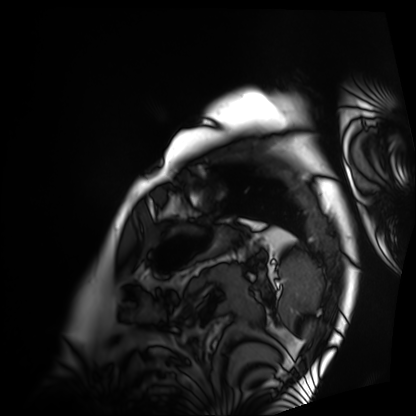
modality: cardiac MRI
cohort: patient